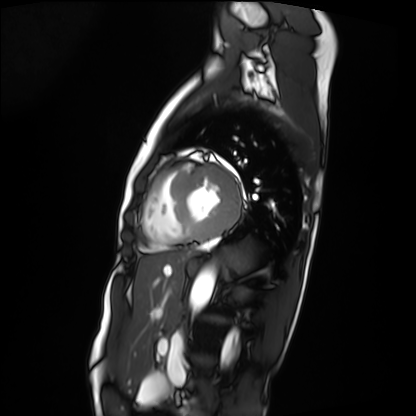
Cardiac MRI.
Subject group: patient.